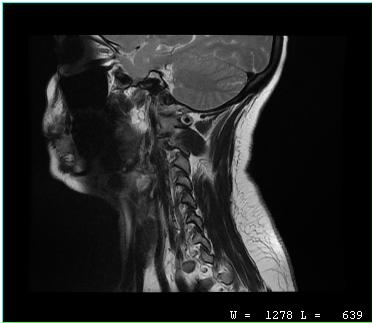
{"modality": {"type": "cervical spine MRI"}, "study_topic": "cervical spondylosis"}